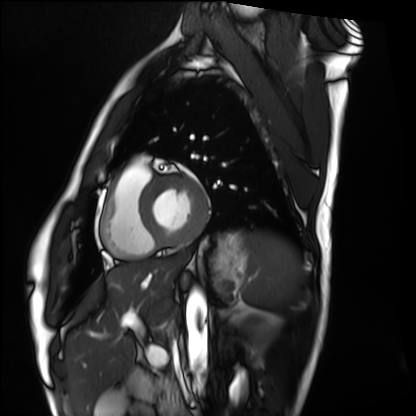
Summary:
Cardiac MRI. Subject group: healthy volunteer.